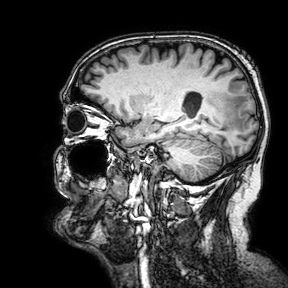
Q: What kind of scan is this?
A: 3 Tesla brain MRI.
Q: Series?
A: 3D T1-weighted turbo field echo with SENSE.
Study: ring-enhancing brain masses.